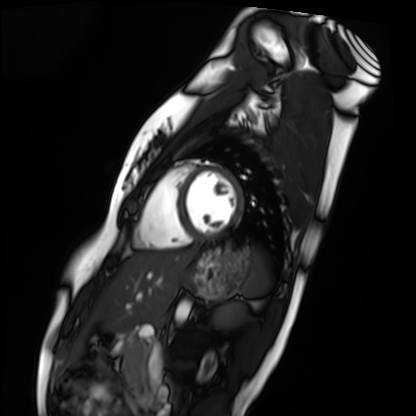
Case summary: Cardiac MRI. Subject group: healthy volunteer.